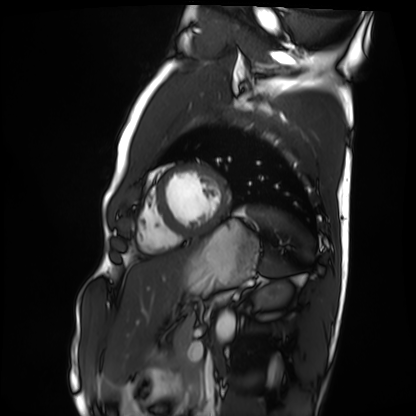
Summary: Cardiac MRI. Subject group: healthy volunteer.